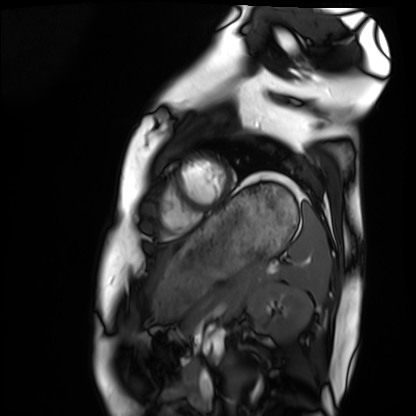
| field | value |
|---|---|
| modality | cardiac MRI |
| subject group | healthy volunteer |